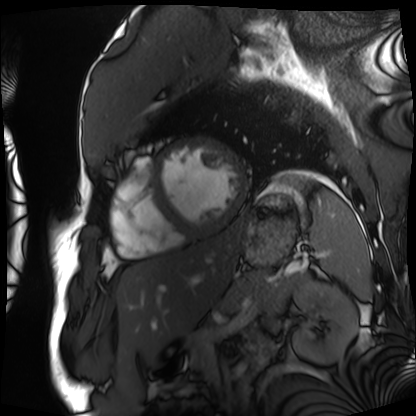
Cardiac MRI.
Subject group: patient.